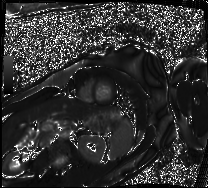
modality=cardiac MRI | subject group=patient.